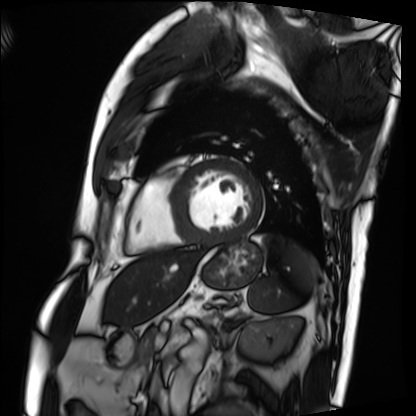
modality: cardiac MRI | subject group: patient.